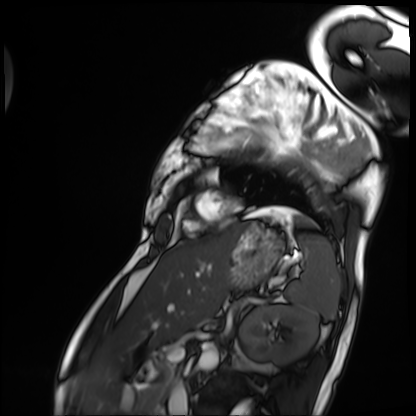
Summary: Cardiac MRI. Subject group: patient.